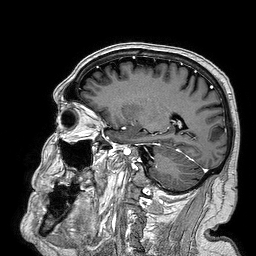
Summary:
3 Tesla brain MRI. Series: 3D T1-weighted turbo field echo. Study: ring-enhancing brain masses.